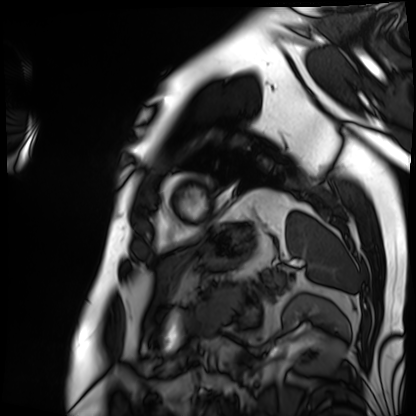
{"modality": "cardiac MRI", "cohort": "patient"}